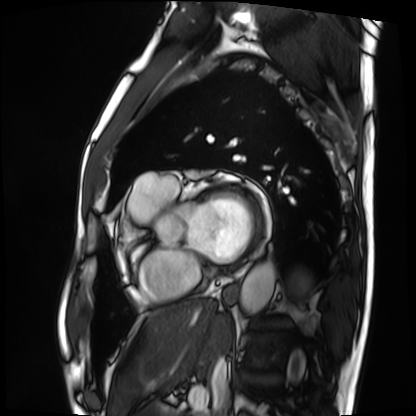
Cardiac MRI. Subject group: patient.